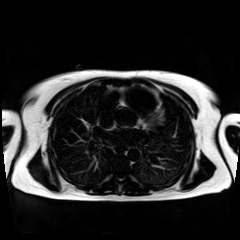
  modality: chemical-shift-encoded cardiac MRI